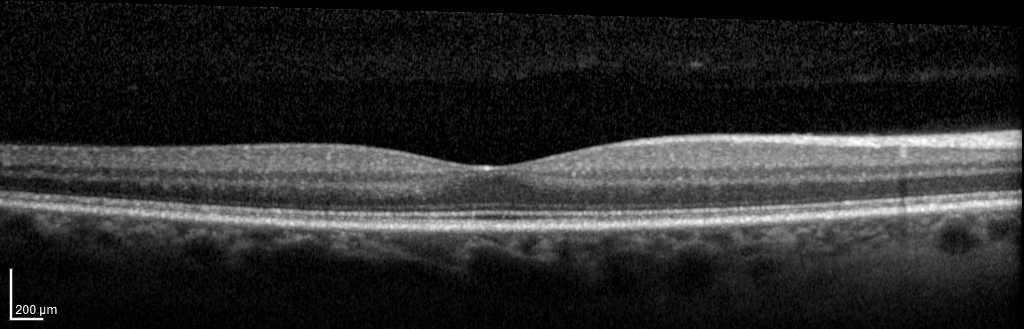
– modality: spectral-domain optical coherence tomography (SD-OCT) of the macula
– subject: female, age 44, right eye
– cohort: diabetic subject
– ETDRS-grid retinal thickness (μm): central 274, inner temporal 316, inner nasal 341, inner superior 334, inner inferior 332, outer temporal 270, outer nasal 304, outer superior 298, outer inferior 293